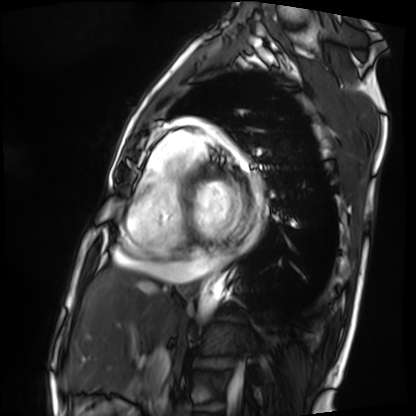
Cardiac MRI. Subject group: patient.